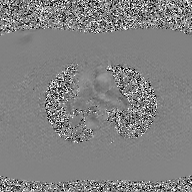
Case:
* modality — 2D phase-contrast cine MRI of the ascending aorta, GAN super-resolution reconstruction